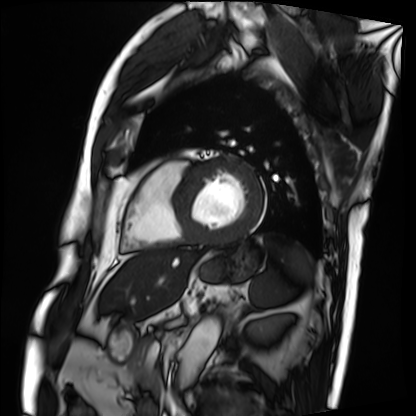
Case summary: Cardiac MRI. Subject group: patient.